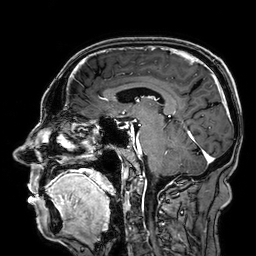
- modality · 3 Tesla brain MRI
- series · 3D T1-weighted
- study · ring-enhancing brain masses